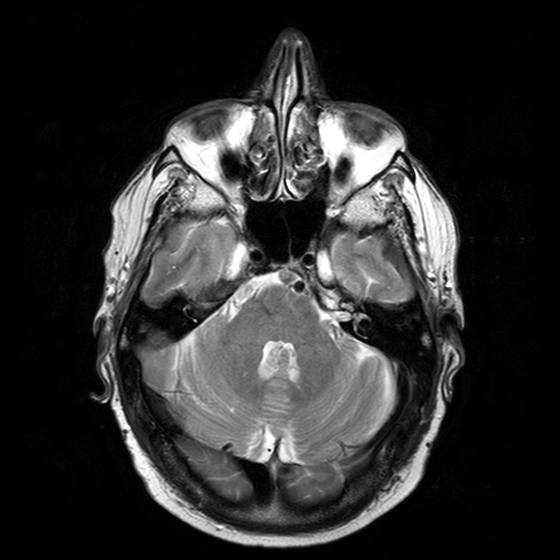
3 Tesla brain MRI. Series: T2-weighted turbo spin echo with CLEAR. Study: ring-enhancing brain masses.